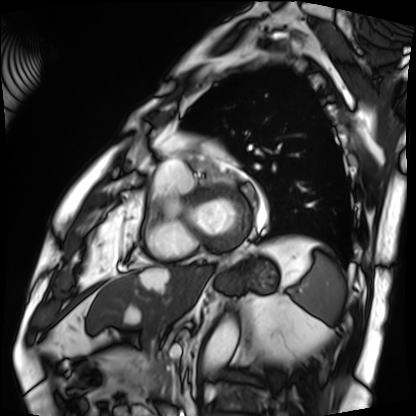
| field | value |
|---|---|
| modality | cardiac MRI |
| subject group | patient |